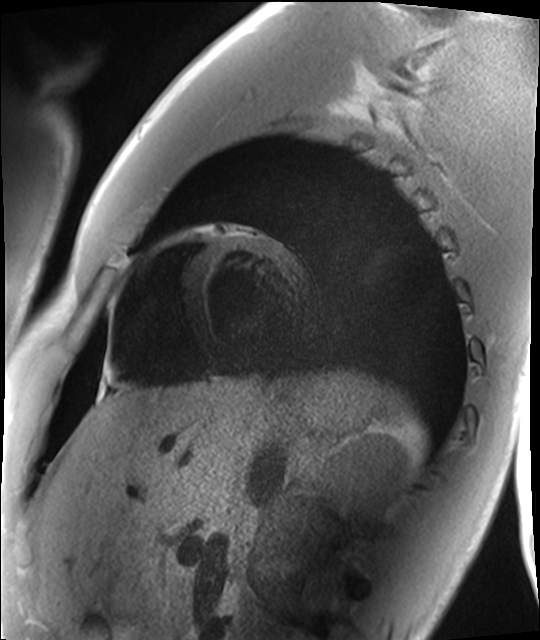
modality — cardiac MRI | subject group — healthy volunteer.